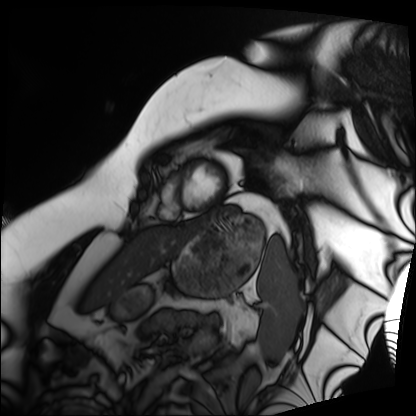
modality: cardiac MRI
subject group: patient